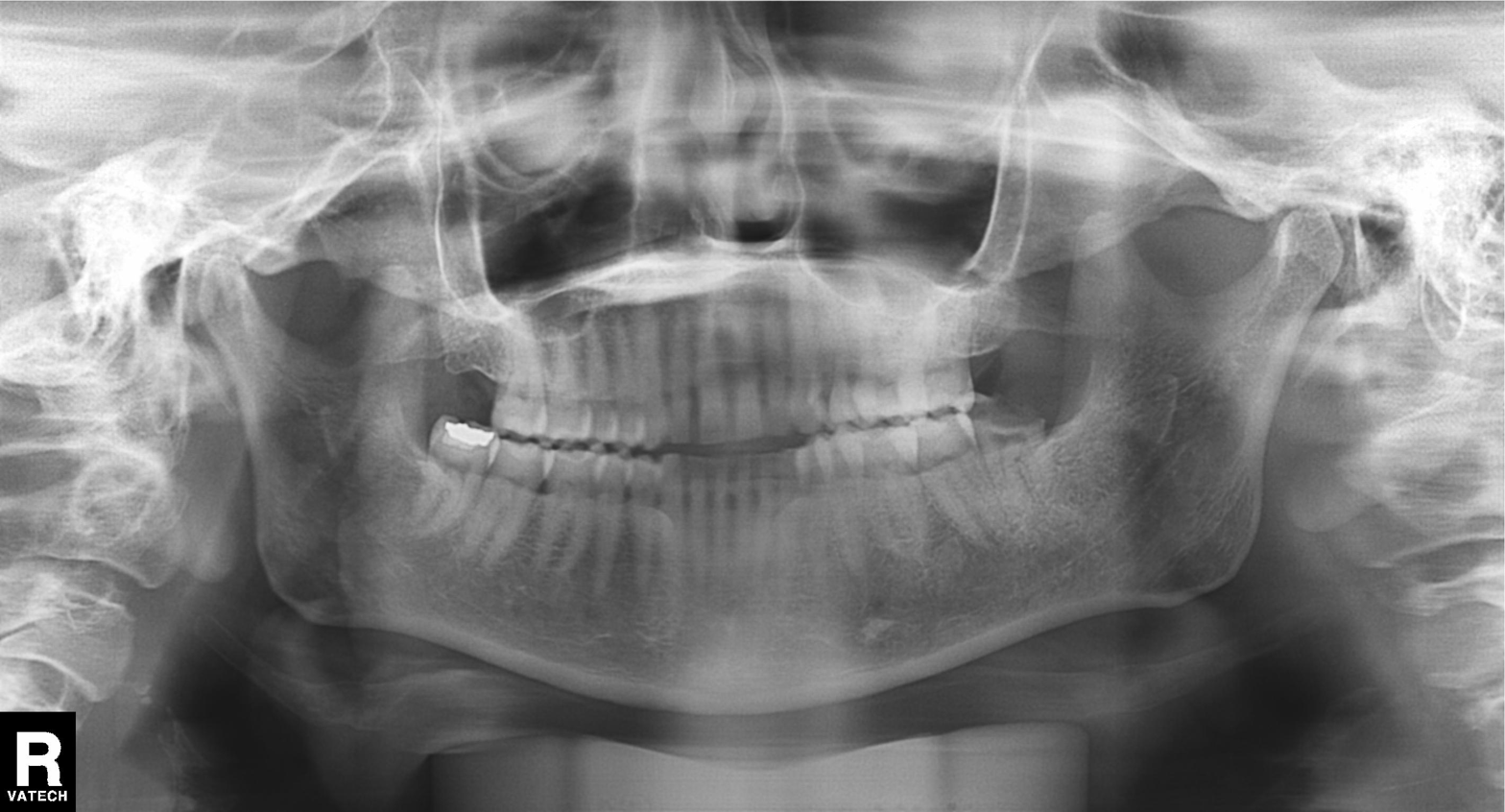
Summary: Panoramic dental radiograph (orthopantomogram).
Assessment: Dental caries (cavities).